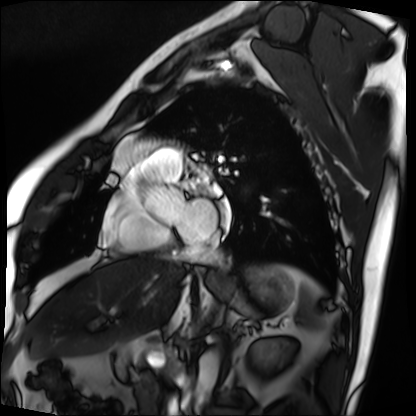
  modality: cardiac MRI
  cohort: patient